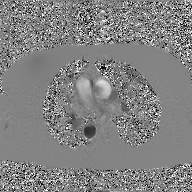
Summary: 2D phase-contrast cine MRI of the ascending aorta, GAN super-resolution reconstruction.